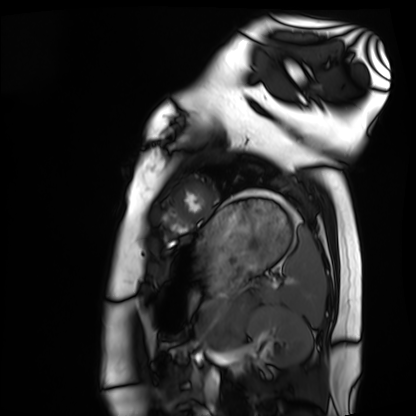
modality = cardiac MRI, subject group = healthy volunteer.